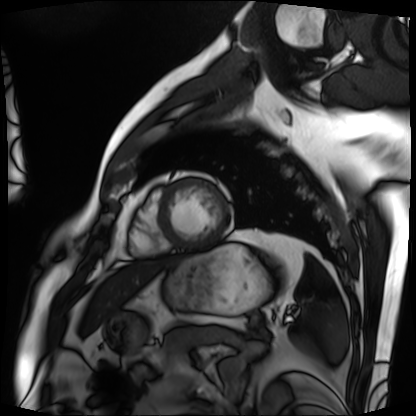
Cardiac MRI. Subject group: patient.